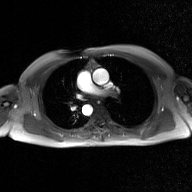
2D phase-contrast cine MRI of the ascending aorta, GAN super-resolution reconstruction.